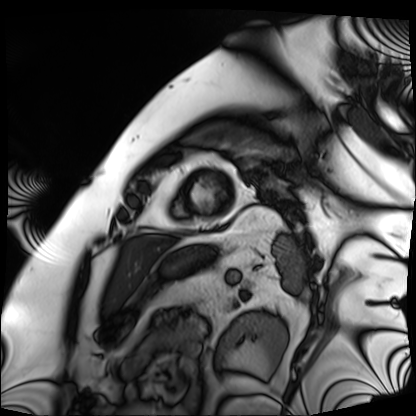
- modality — cardiac MRI
- subject group — patient